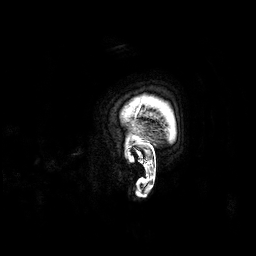
| field | value |
|---|---|
| modality | 3 Tesla brain MRI |
| series | 3D T1-weighted |
| study | ring-enhancing brain masses |